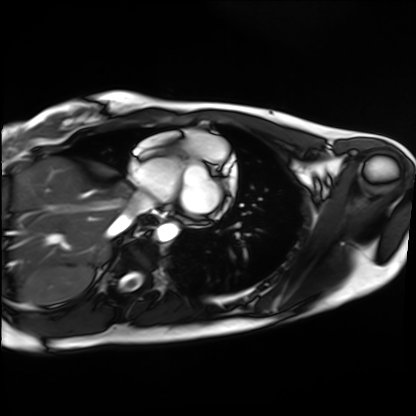
Cardiac MRI. Subject group: healthy volunteer.